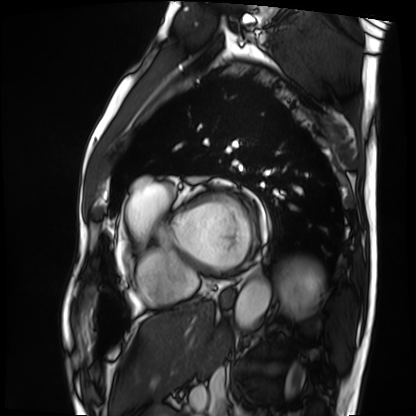
modality = cardiac MRI, subject group = patient.